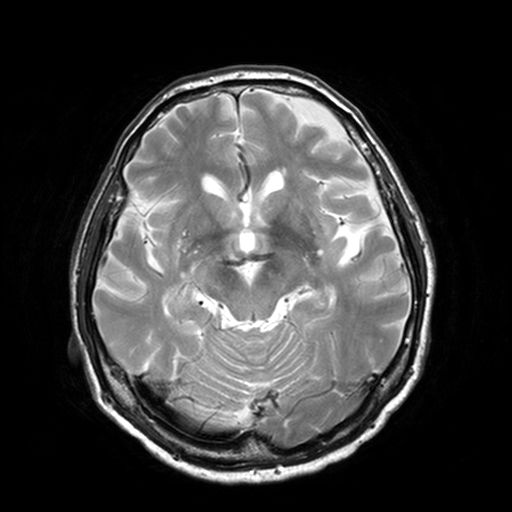
modality = 3 Tesla brain MRI
series = T2-weighted turbo spin echo, 3 mm
study = ring-enhancing brain masses